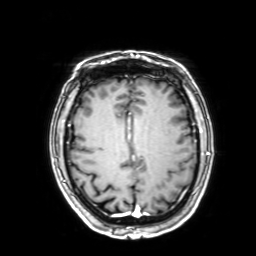
Case:
• modality · 3 Tesla brain MRI
• series · 3D T1-weighted with SENSE
• study · ring-enhancing brain masses